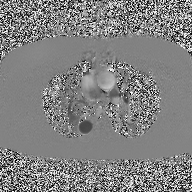
modality: 2D phase-contrast cine MRI of the ascending aorta.